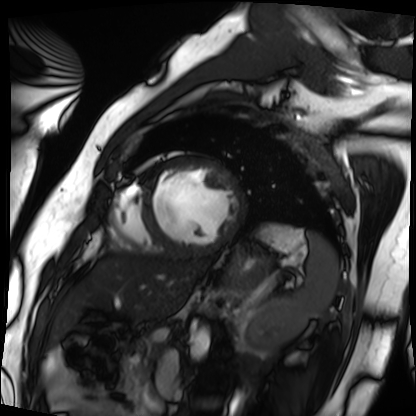
Cardiac MRI. Subject group: patient.